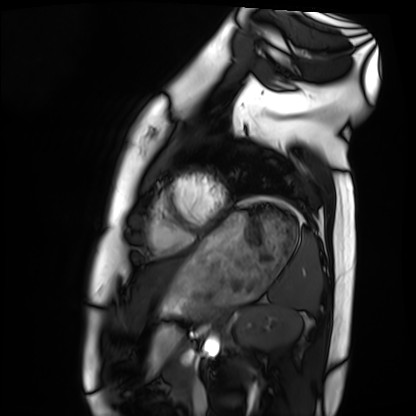
Cardiac MRI.
Subject group: healthy volunteer.